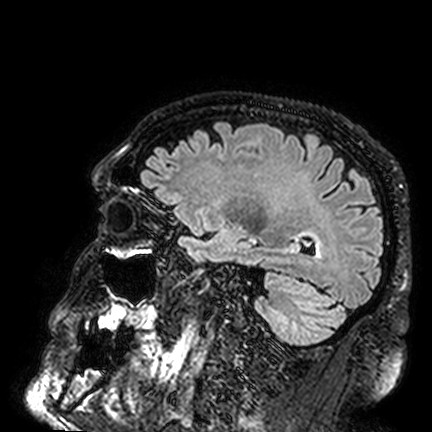
3 Tesla brain MRI.
Study: ring-enhancing brain masses.